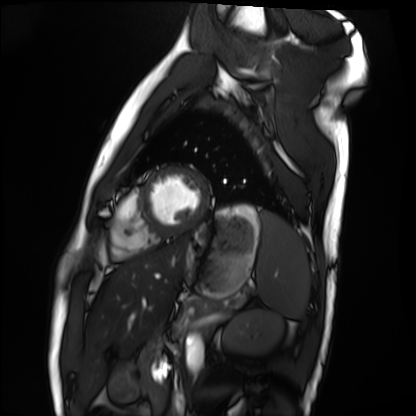
Cardiac MRI. Subject group: healthy volunteer.